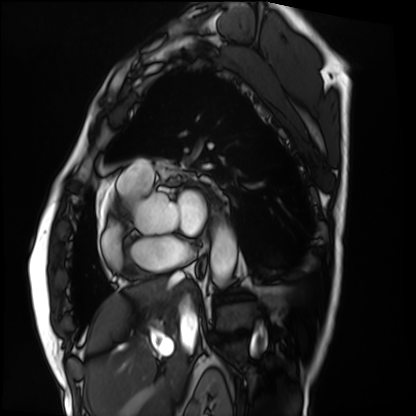
Cardiac MRI.
Subject group: patient.